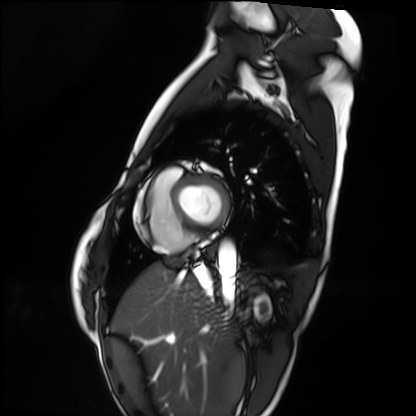
• modality · cardiac MRI
• subject group · healthy volunteer